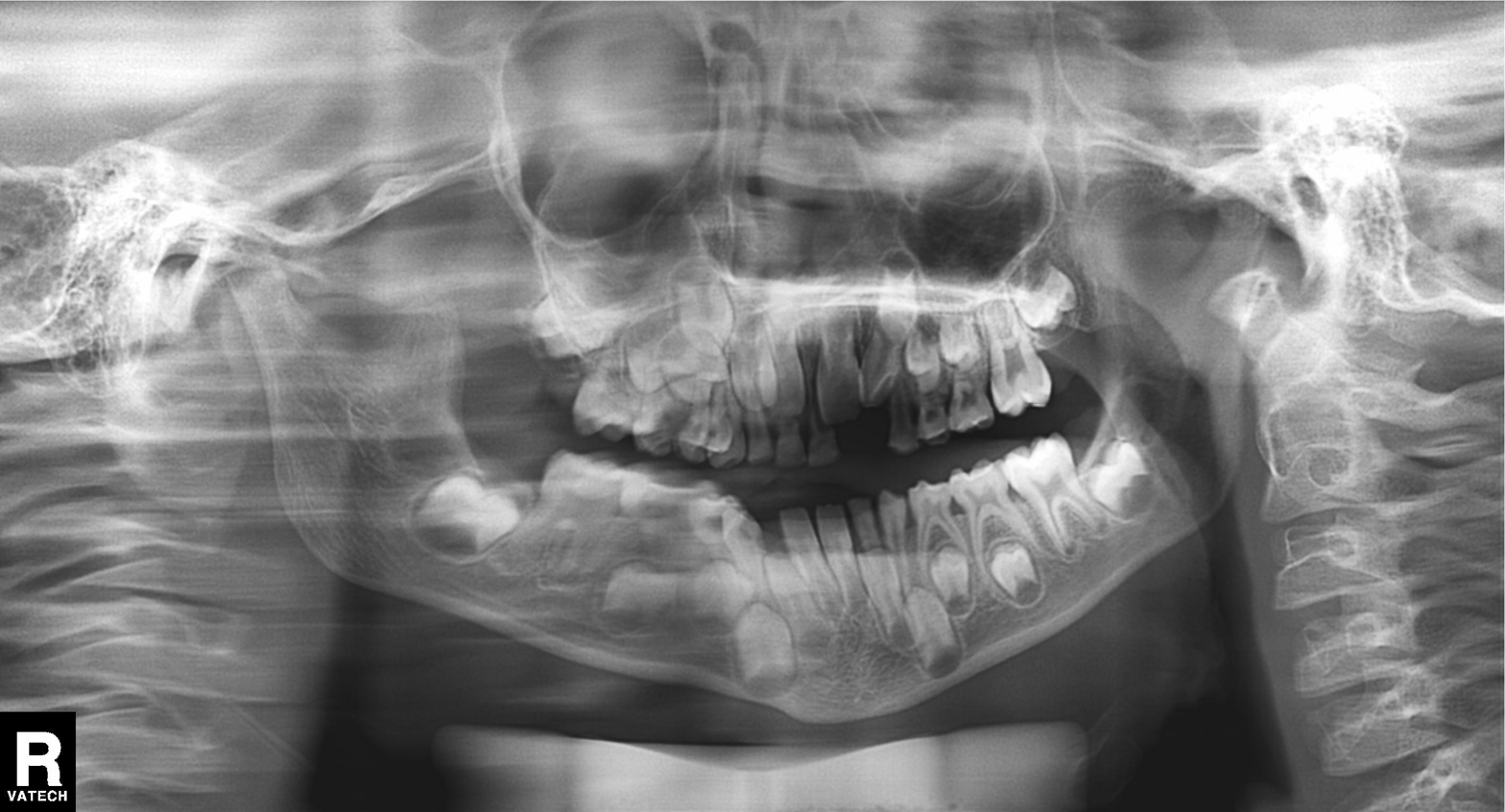
Clinical context: Panoramic dental radiograph (orthopantomogram).
Conclusion: Alveolar bone loss.